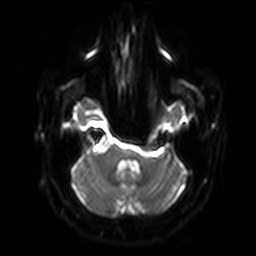
Q: What kind of scan is this?
A: 3 Tesla brain MRI.
Q: Series?
A: Diffusion-weighted imaging with SENSE (WIP).
Study: ring-enhancing brain masses.